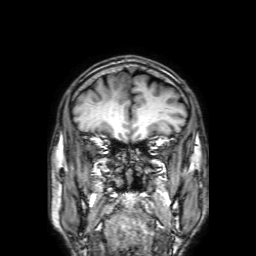
3 Tesla brain MRI. Series: 3D T1-weighted with SENSE. Study: ring-enhancing brain masses.